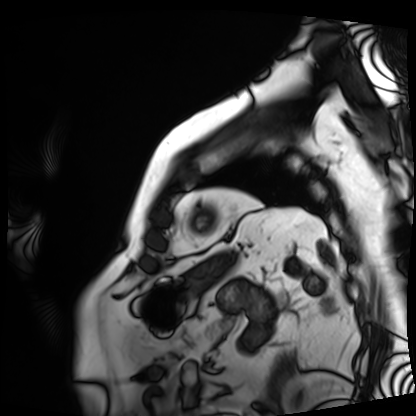
Cardiac MRI. Subject group: patient.